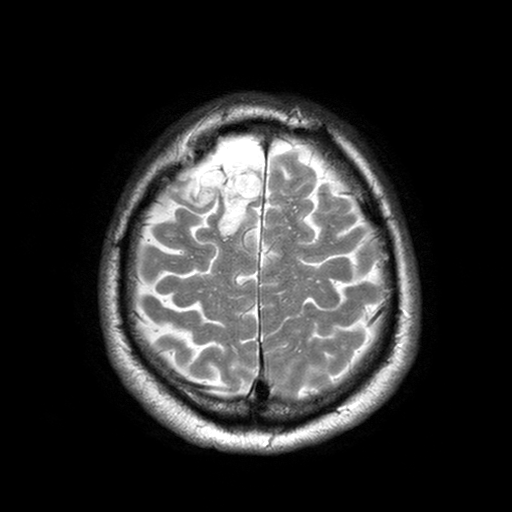
Summary:
3 Tesla brain MRI. Series: T2-weighted turbo spin echo with SENSE. Study: ring-enhancing brain masses.